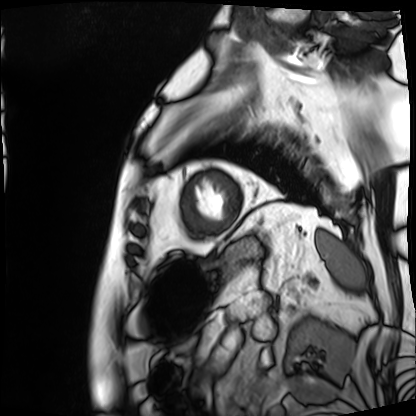
Cardiac MRI.
Subject group: patient.